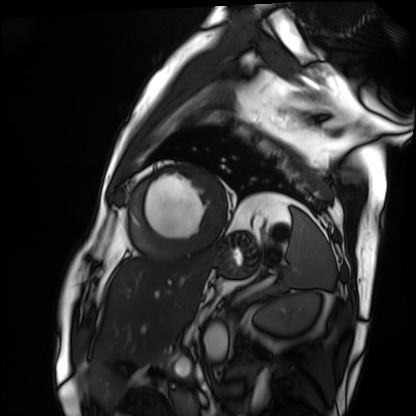
Case:
* modality · cardiac MRI
* subject group · patient